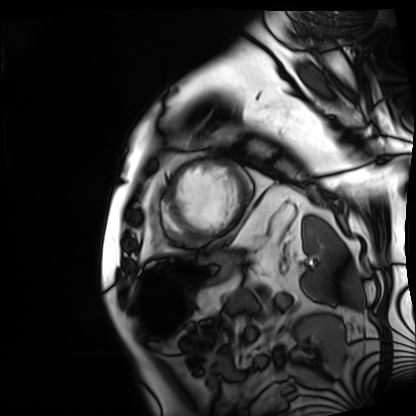
Cardiac MRI. Subject group: patient.